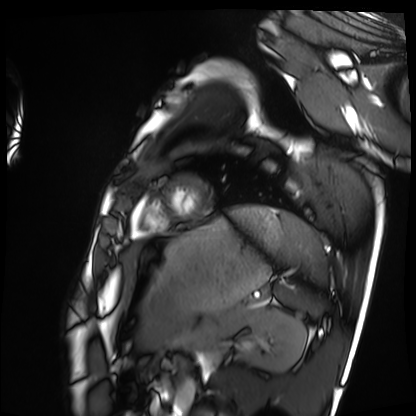
| field | value |
|---|---|
| modality | cardiac MRI |
| subject group | healthy volunteer |